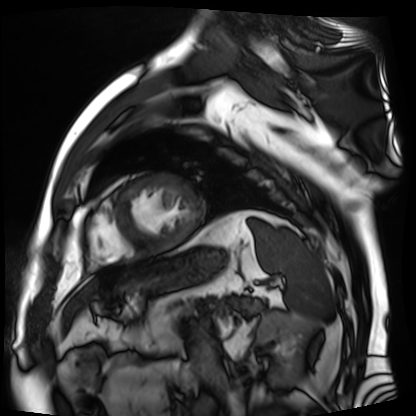
Cardiac MR image of the myocardium. Subject cohort: cardiac patient.